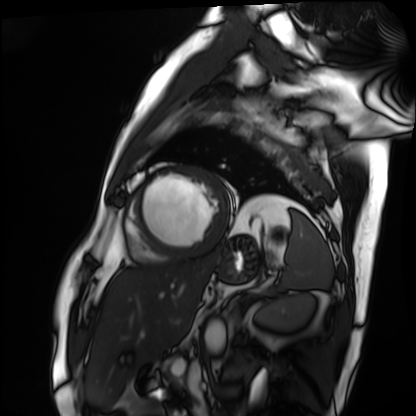
* modality · cardiac MRI
* subject group · patient